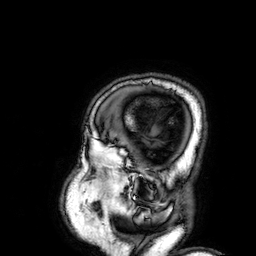
3 Tesla brain MRI. Study: ring-enhancing brain masses.